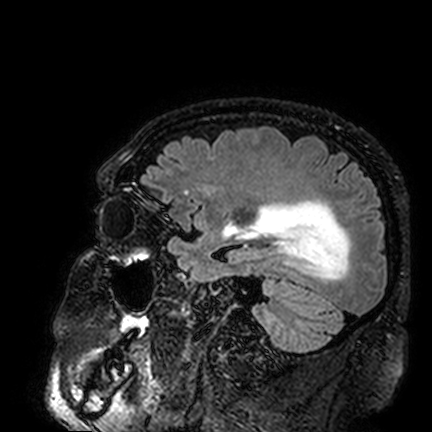
Case:
* modality: 3 Tesla brain MRI
* series: FLAIR VISTA
* study: ring-enhancing brain masses